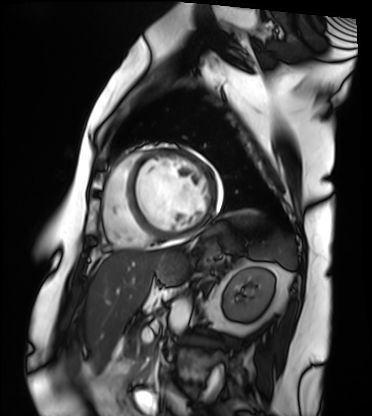
Clinical context:
Cardiac MRI. Subject group: patient.